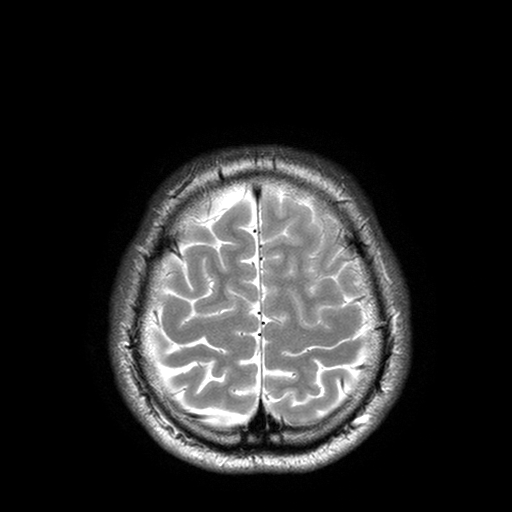
3 Tesla brain MRI. Series: T2-weighted turbo spin echo with SENSE. Study: ring-enhancing brain masses.